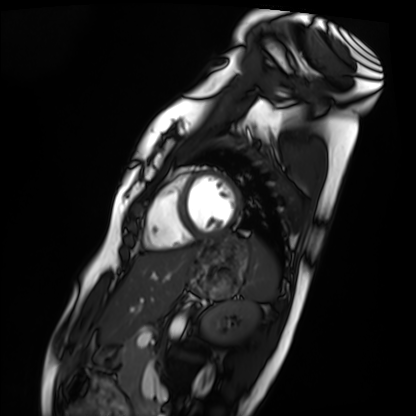
Clinical context: Cardiac MRI. Subject group: healthy volunteer.